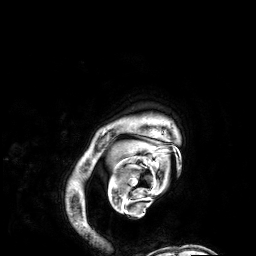
Case summary: 3 Tesla brain MRI. Series: 3D T1-weighted. Study: ring-enhancing brain masses.